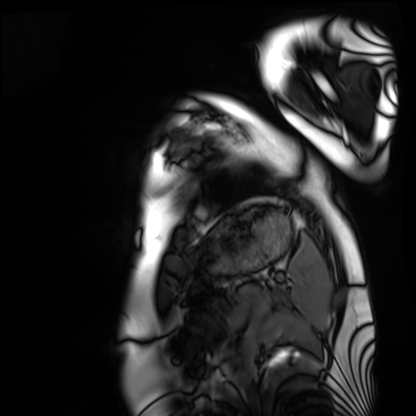
Case summary:
Cardiac MRI. Subject group: healthy volunteer.